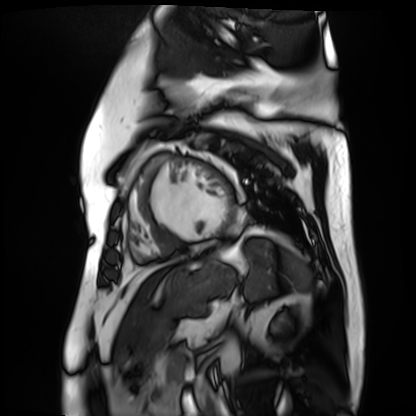
Cardiac MR image of the myocardium.
Subject cohort: cardiac patient.